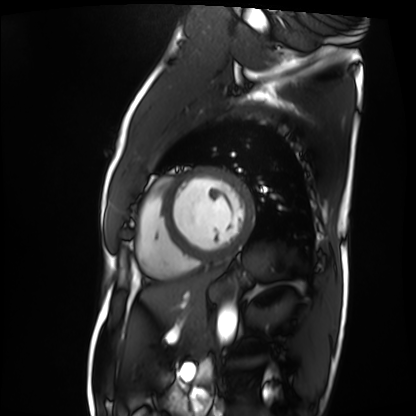
{"modality": "cardiac MRI", "cohort": "patient"}